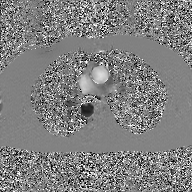
modality: 2D phase-contrast cine MRI of the ascending aorta, GAN super-resolution reconstruction.